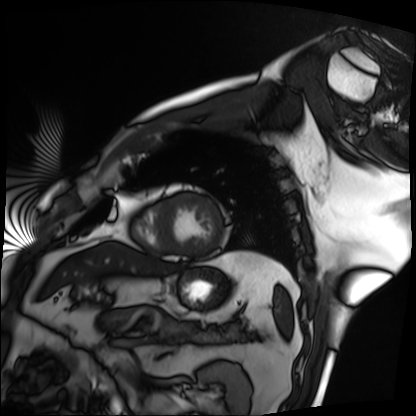
Summary: Cardiac MRI. Subject group: patient.